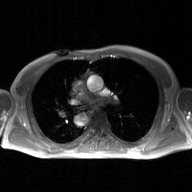
modality: 2D phase-contrast cine MRI of the ascending aorta, GAN super-resolution reconstruction